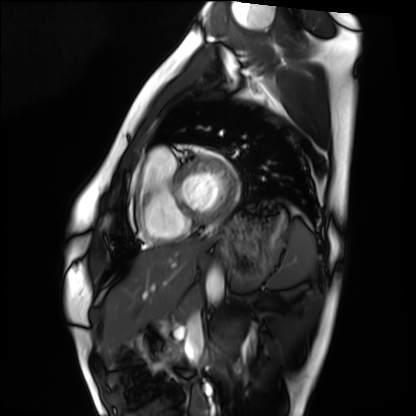
Cardiac MRI. Subject group: healthy volunteer.